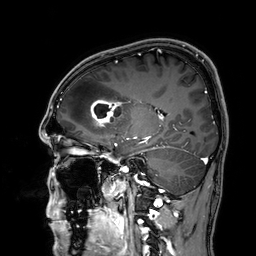
Q: What kind of scan is this?
A: 3 Tesla brain MRI.
Q: Series?
A: 3D T1-weighted.
Study: ring-enhancing brain masses.